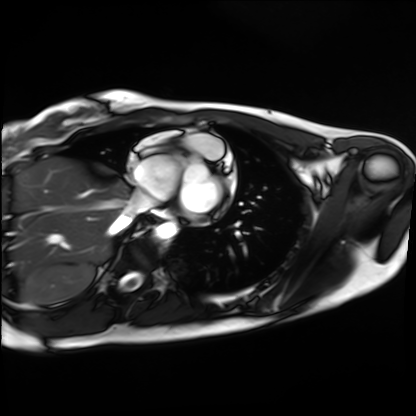
<record>
<modality>cardiac MRI</modality>
<cohort>healthy volunteer</cohort>
</record>